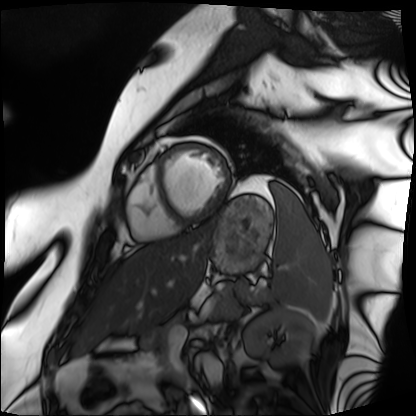
Case:
– modality: cardiac MRI
– subject group: patient